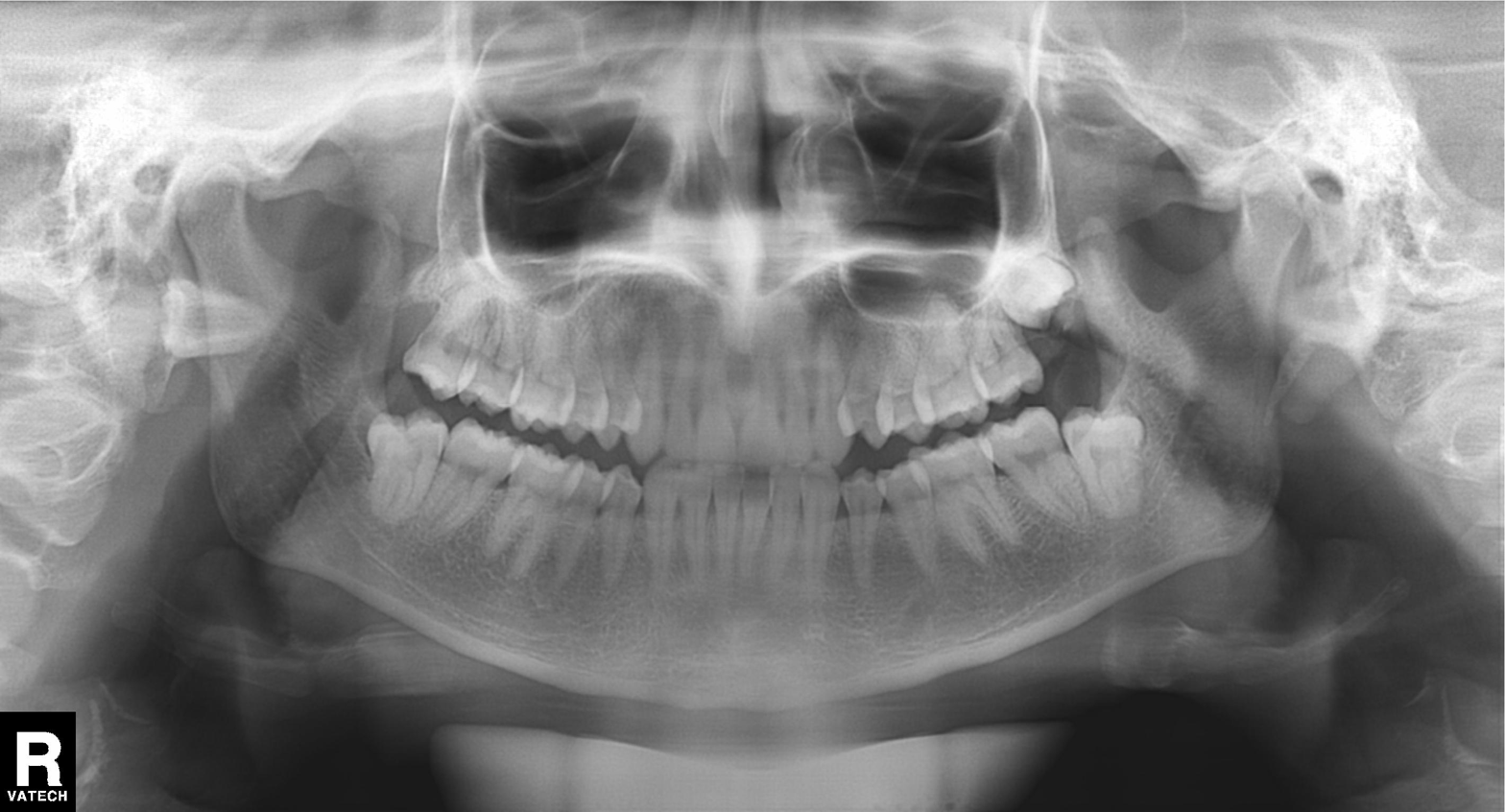
modality = panoramic dental radiograph (orthopantomogram); finding = dental caries (cavities).